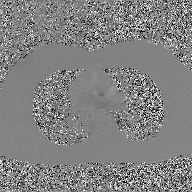
modality:
  type: 2D phase-contrast cine MRI
  region: ascending aorta
  reconstruction: GAN super-resolution reconstruction